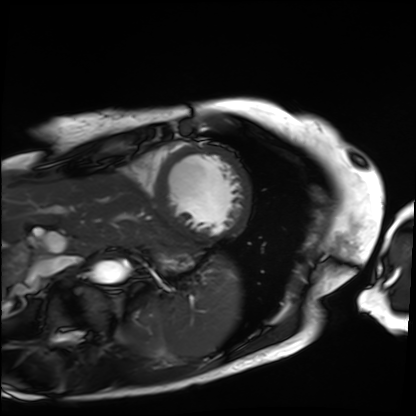
Summary: Cardiac MRI. Subject group: patient.